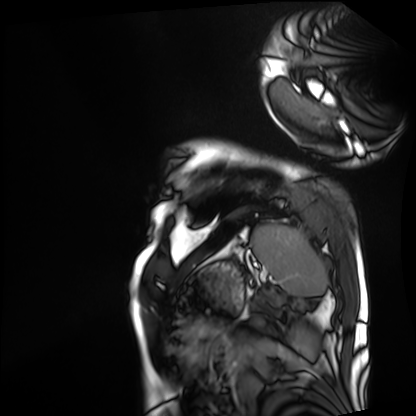
Q: What kind of scan is this?
A: Cardiac MRI.
Subject group: patient.